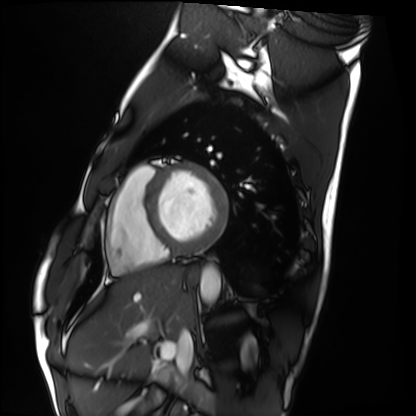
Case:
- modality — cardiac MRI
- subject group — healthy volunteer